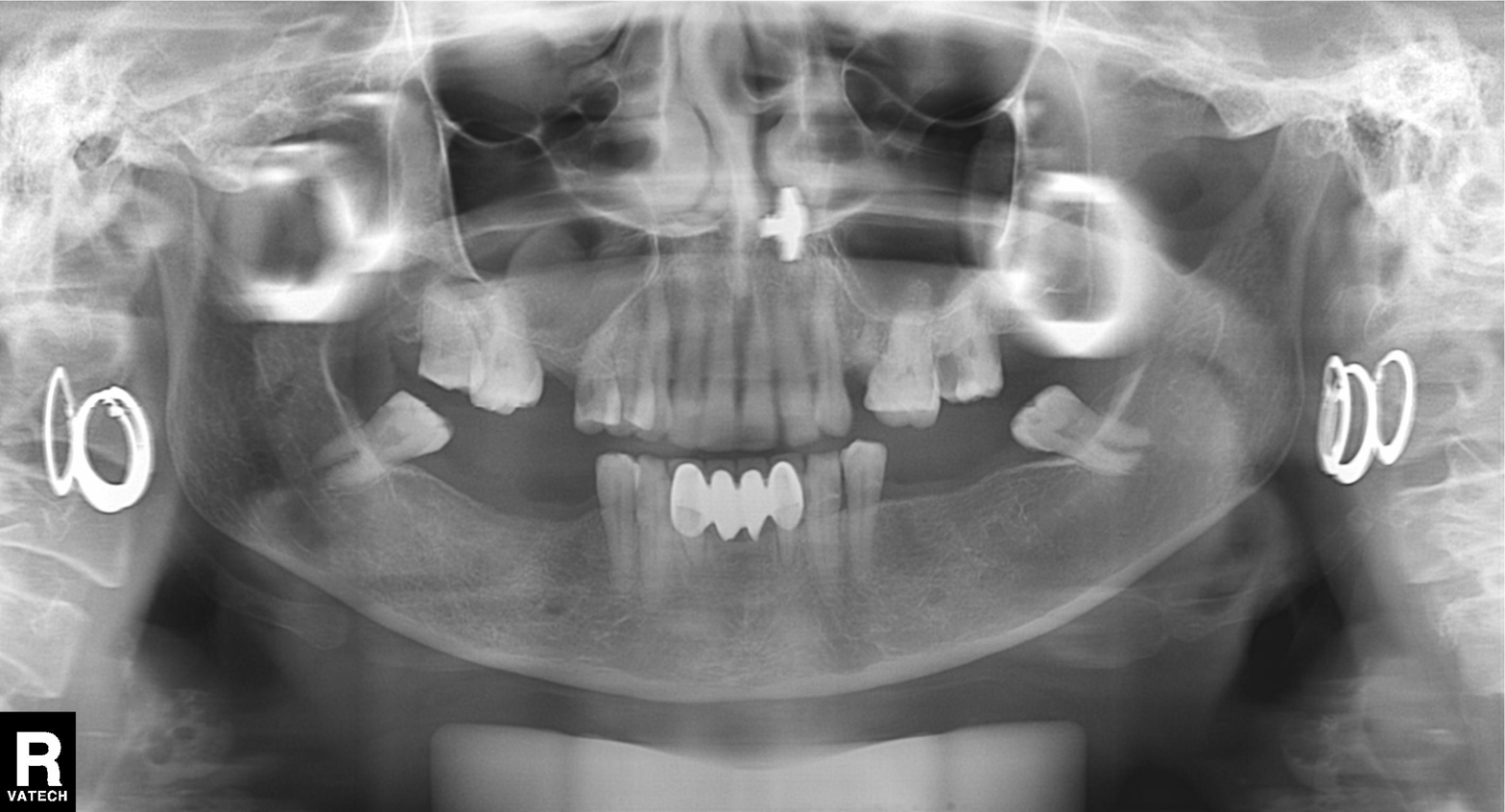
{"modality": "panoramic dental radiograph (orthopantomogram)", "finding": "alveolar bone loss"}